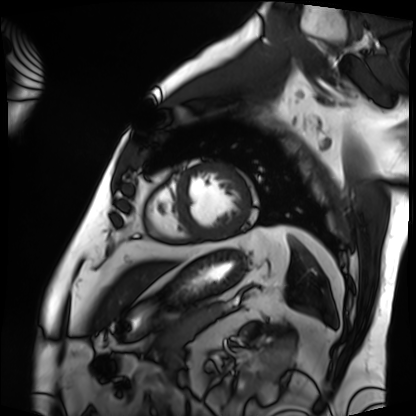
modality — cardiac MRI; subject group — patient.